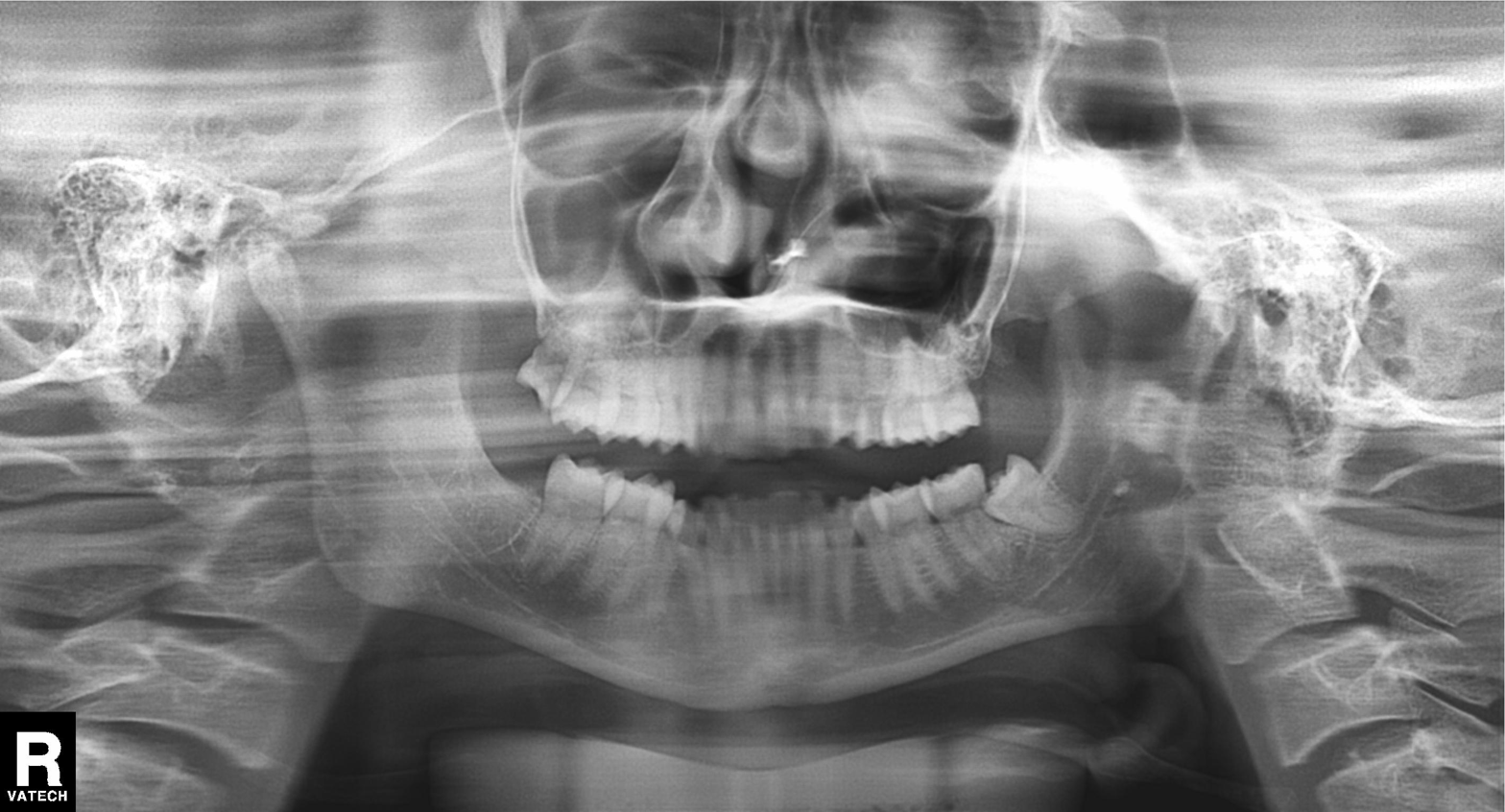
Panoramic dental radiograph (orthopantomogram).
Finding: tooth impaction.